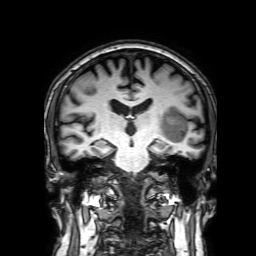
3 Tesla brain MRI. Series: 3D T1-weighted with SENSE. Study: ring-enhancing brain masses.